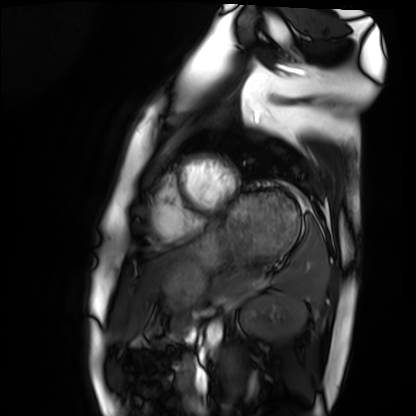
Cardiac MRI. Subject group: healthy volunteer.